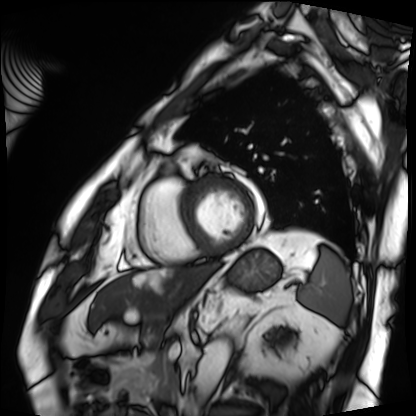
– modality — cardiac MRI
– subject group — patient